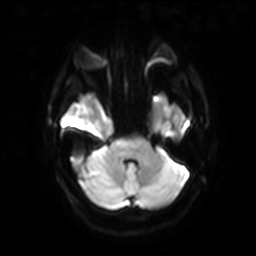
Clinical context: 3 Tesla brain MRI. Study: ring-enhancing brain masses.